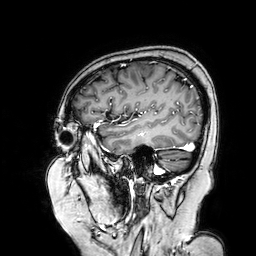
modality=3 Tesla brain MRI
series=3D T1-weighted turbo field echo with SENSE
study=ring-enhancing brain masses